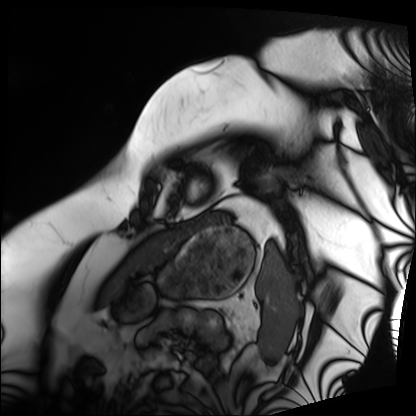
modality=cardiac MRI
subject group=patient